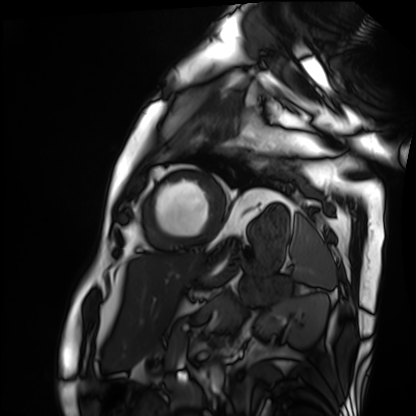
  modality: cardiac MRI
  cohort: patient